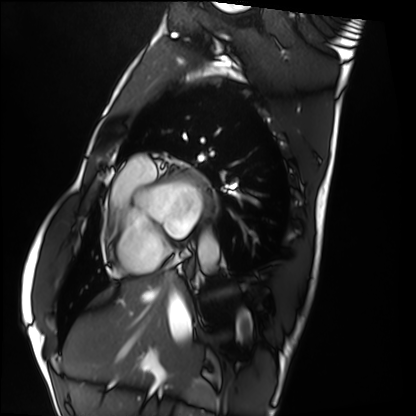
Cardiac MRI. Subject group: healthy volunteer.